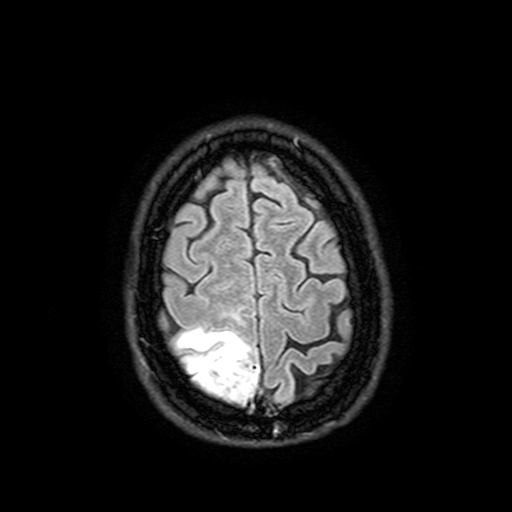
Q: What kind of scan is this?
A: 3 Tesla brain MRI.
Q: Series?
A: FLAIR with SPAIR, 3 mm.
Study: ring-enhancing brain masses.